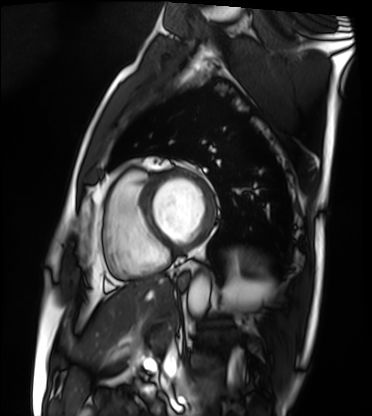
modality — cardiac MRI
subject group — patient